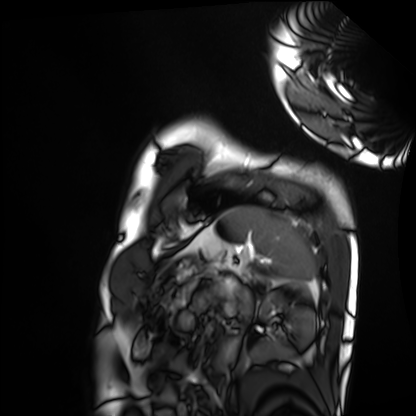
Cardiac MRI.
Subject group: healthy volunteer.